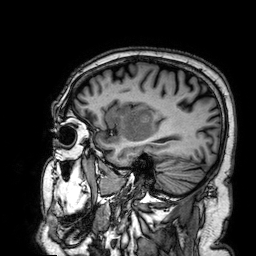
Summary:
3 Tesla brain MRI. Study: ring-enhancing brain masses.